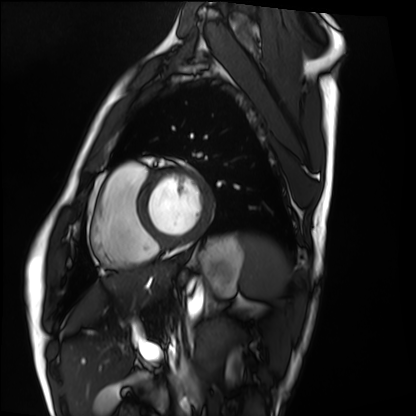
Cardiac MRI. Subject group: healthy volunteer.